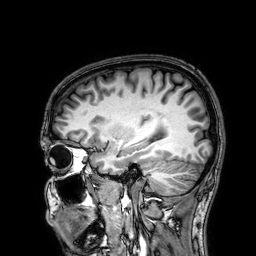
Case summary: 3 Tesla brain MRI. Series: 3D T1-weighted. Study: ring-enhancing brain masses.